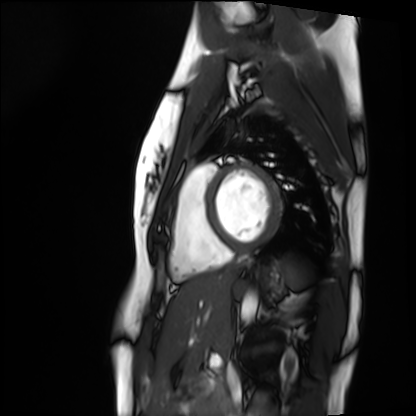
Cardiac MRI. Subject group: healthy volunteer.